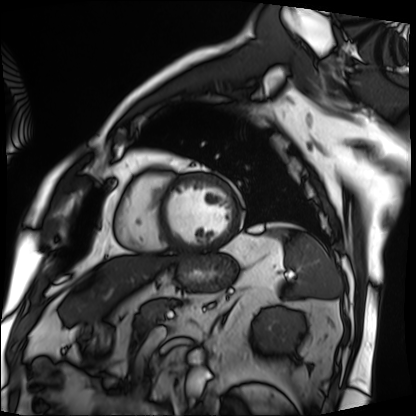
modality: cardiac MRI
subject group: patient